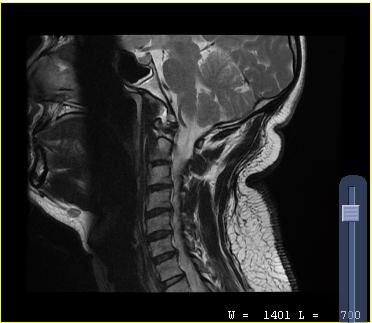
Q: What kind of scan is this?
A: MRI of the cervical spine.
Study: cervical spondylosis.